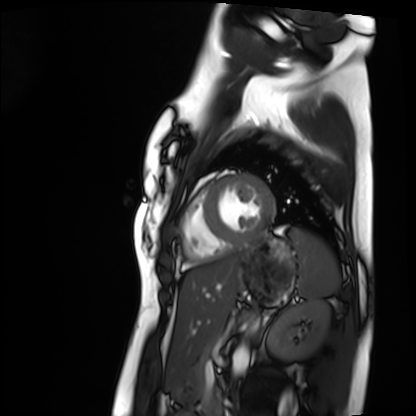
modality: cardiac MRI | subject group: healthy volunteer.